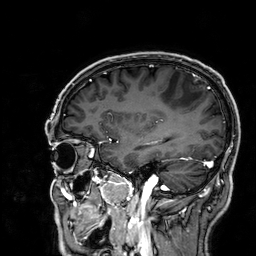
<study>
  <modality>
    <type>brain MRI</type>
    <field_strength>3T</field_strength>
  </modality>
  <series>3D T1-weighted</series>
  <study_topic>ring-enhancing brain masses</study_topic>
</study>